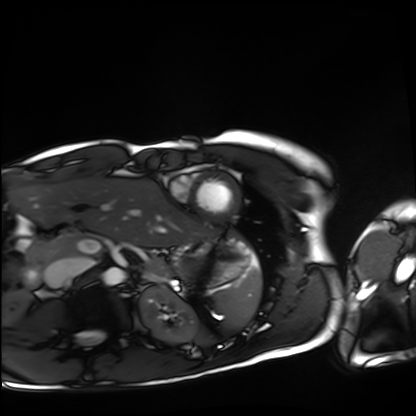
Case summary: Cardiac MRI. Subject group: healthy volunteer.